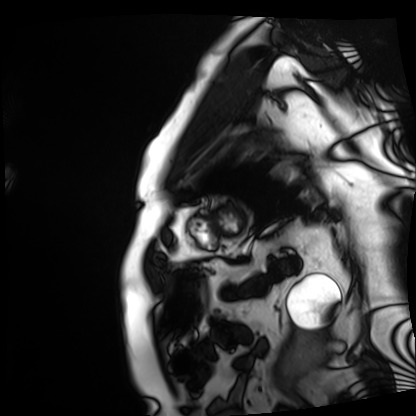
Clinical context: Cardiac MRI. Subject group: patient.